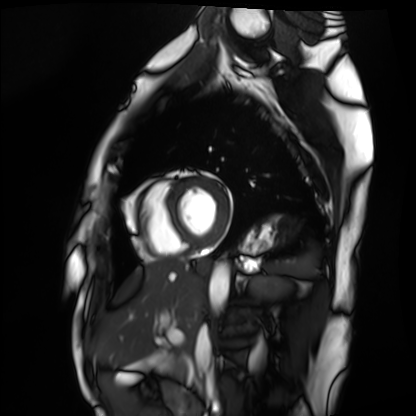
* modality — cardiac MRI
* subject group — healthy volunteer